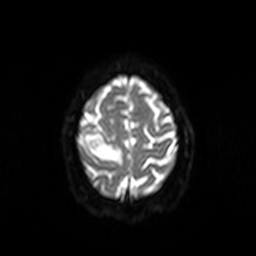
Case summary:
3 Tesla brain MRI. Series: diffusion-weighted imaging. Study: ring-enhancing brain masses.